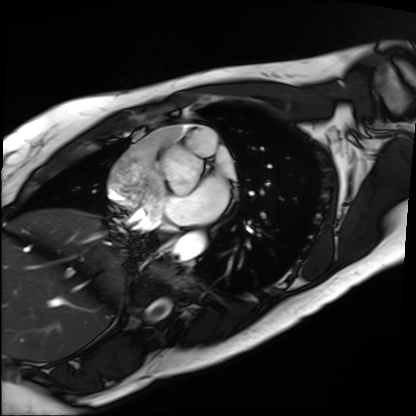
Summary: Cardiac MRI. Subject group: patient.